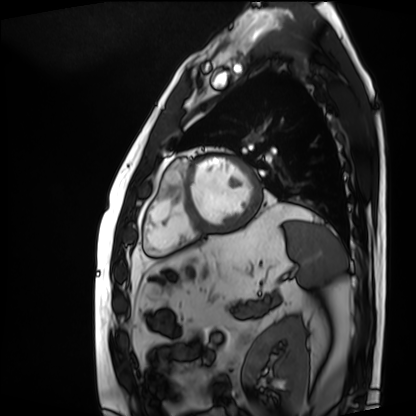
Summary:
Cardiac MRI. Subject group: patient.